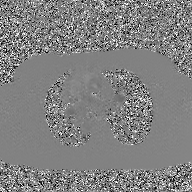
Case:
* modality — 2D phase-contrast cine MRI of the ascending aorta, GAN super-resolution reconstruction